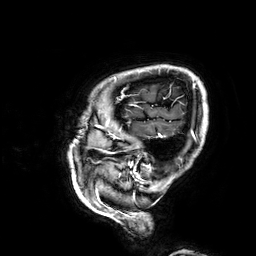
• modality — 3 Tesla brain MRI
• series — 3D T1-weighted
• study — ring-enhancing brain masses